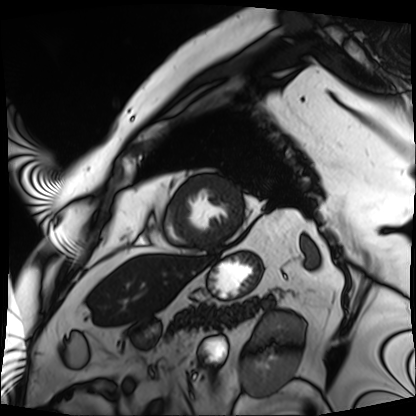
Cardiac MRI. Subject group: patient.